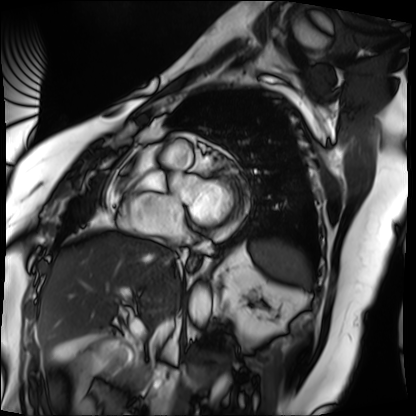
Case:
- modality · cardiac MRI
- subject group · patient